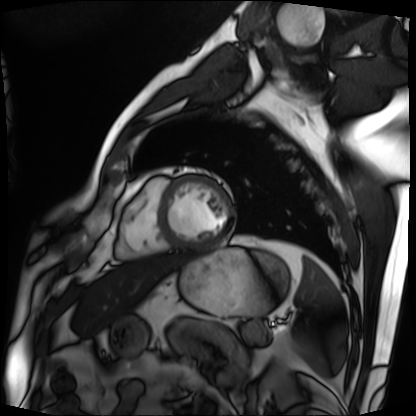
modality = cardiac MRI; subject group = patient.